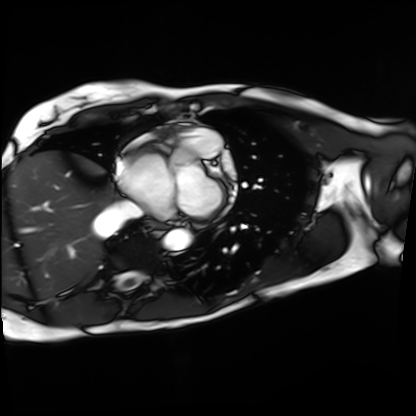
* modality — cardiac MRI
* subject group — patient